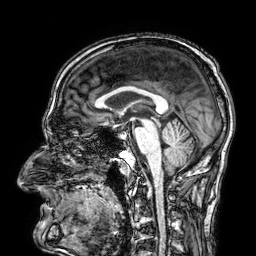
| field | value |
|---|---|
| modality | 3 Tesla brain MRI |
| series | 3D T1-weighted |
| study | ring-enhancing brain masses |